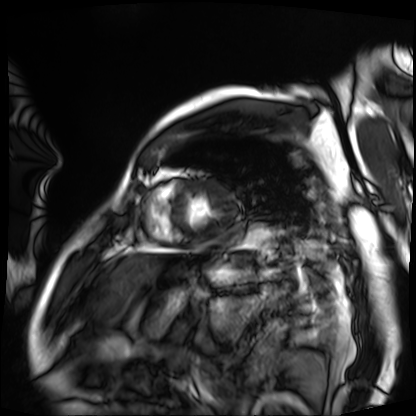
<case>
  <modality>cardiac MRI</modality>
  <cohort>patient</cohort>
</case>